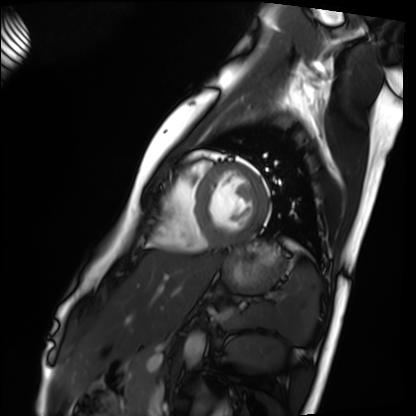
Cardiac MRI. Subject group: healthy volunteer.